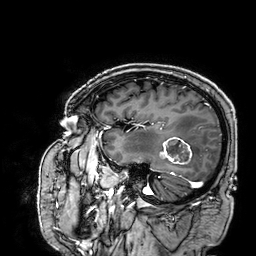
| field | value |
|---|---|
| modality | 3 Tesla brain MRI |
| study | ring-enhancing brain masses |